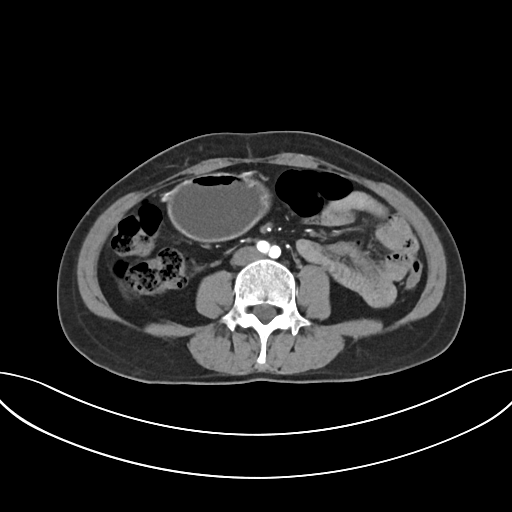
  modality:
    type: multiphase abdominal CT
    region: liver
    phase: arterial
  patient:
    sex: female
    age: 48